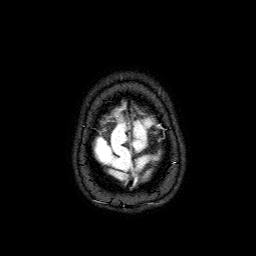
Summary:
3 Tesla brain MRI. Series: FLAIR with SPAIR. Study: ring-enhancing brain masses.